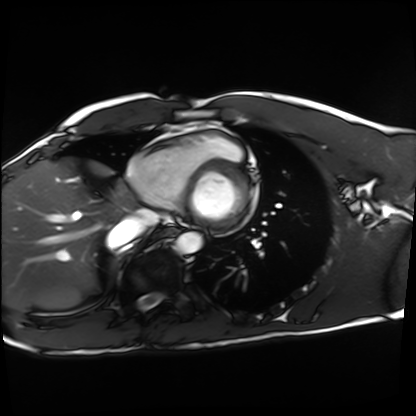
* modality: cardiac MRI
* subject group: healthy volunteer